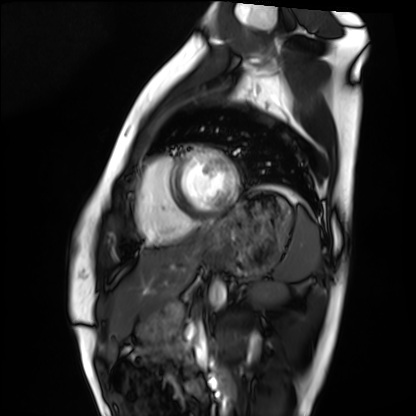
| field | value |
|---|---|
| modality | cardiac MRI |
| subject group | healthy volunteer |